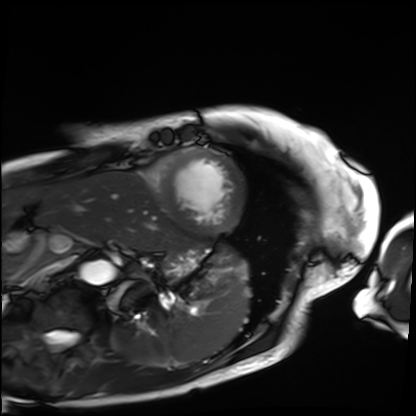
Cardiac MRI. Subject group: patient.